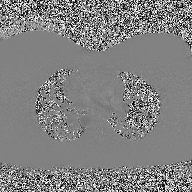
2D phase-contrast cine MRI of the ascending aorta, high-resolution GRAPPA acquisition.